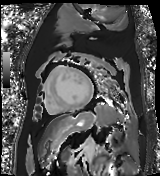
Cardiac MR image of the myocardium. Subject cohort: cardiac patient.